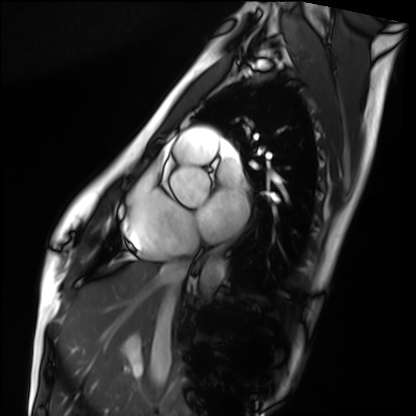
Q: What kind of scan is this?
A: Cardiac MRI.
Subject group: healthy volunteer.